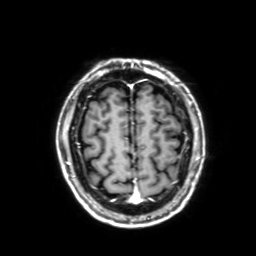
modality: 3 Tesla brain MRI | series: 3D T1-weighted with SENSE | study: ring-enhancing brain masses.